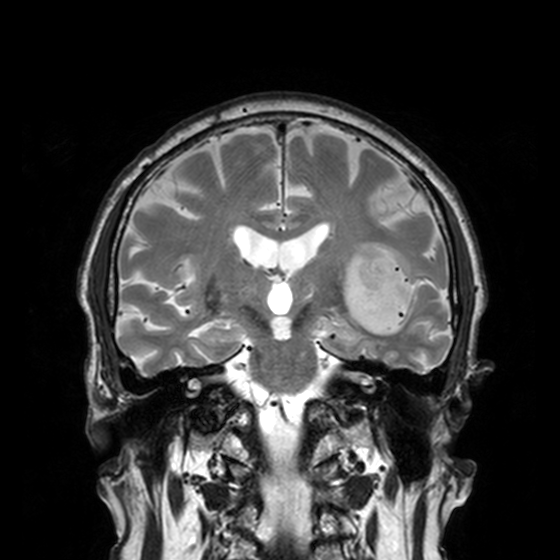
modality — 3 Tesla brain MRI; series — T2-weighted turbo spin echo, 3 mm; study — ring-enhancing brain masses.